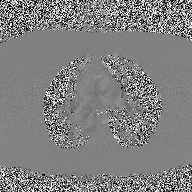
Summary: 2D phase-contrast cine MRI of the ascending aorta, high-resolution GRAPPA acquisition.